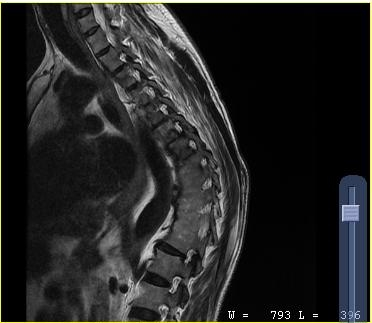
Summary:
MRI of the cervical spine. Study: cervical spondylosis.